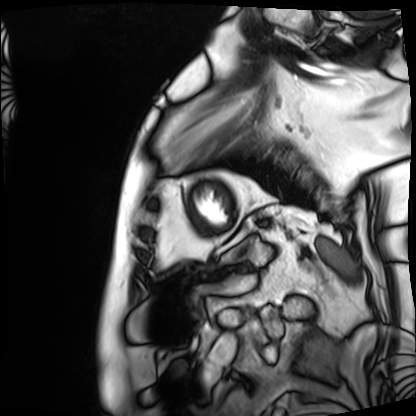
Clinical context: Cardiac MRI. Subject group: patient.